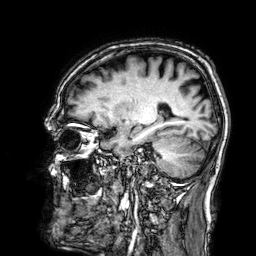
Summary: 3 Tesla brain MRI. Series: 3D T1-weighted. Study: ring-enhancing brain masses.